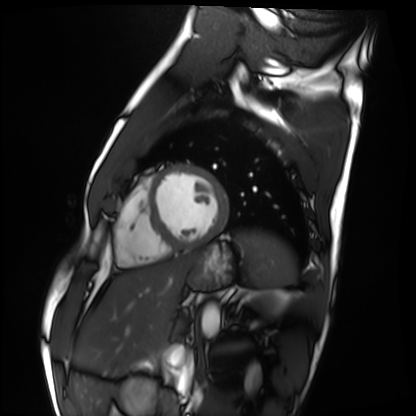
{
  "modality": "cardiac MRI",
  "cohort": "healthy volunteer"
}